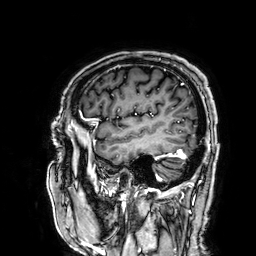
Clinical context: 3 Tesla brain MRI. Series: 3D T1-weighted. Study: ring-enhancing brain masses.